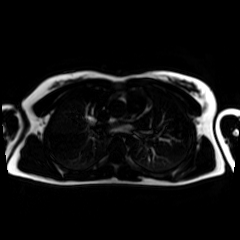
Chemical-shift-encoded cardiac MRI.